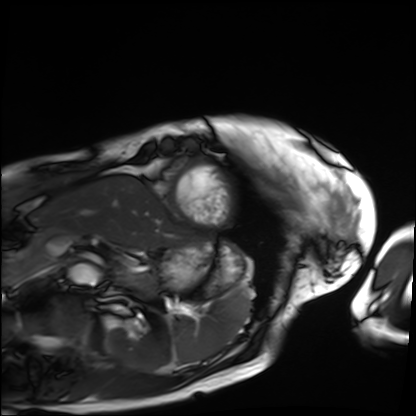
<record>
<modality>cardiac MRI</modality>
<cohort>patient</cohort>
</record>